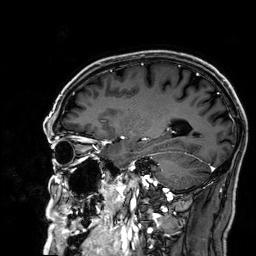
modality = 3 Tesla brain MRI | study = ring-enhancing brain masses.